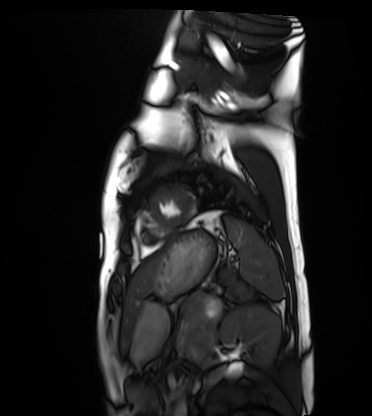
Cardiac MRI. Subject group: healthy volunteer.